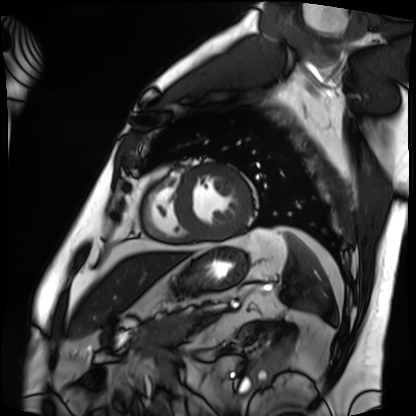
Clinical context:
Cardiac MRI. Subject group: patient.